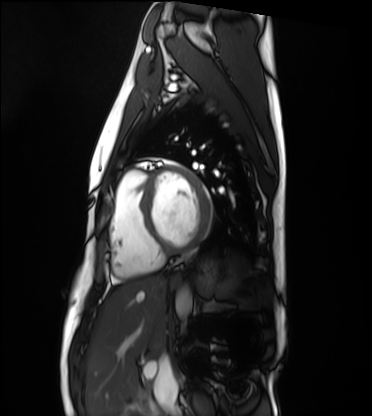
Summary: Cardiac MRI. Subject group: healthy volunteer.